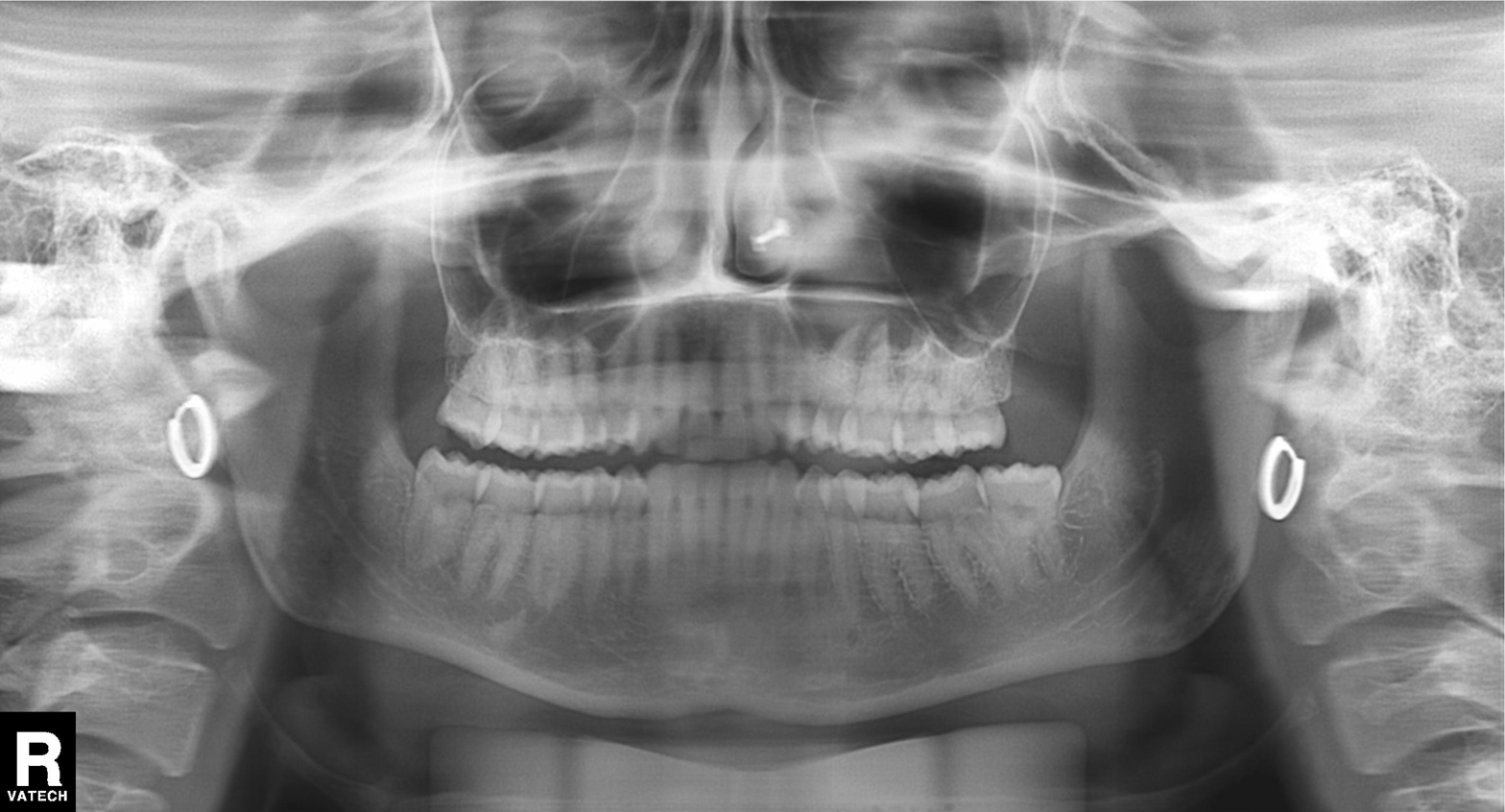
modality: panoramic dental radiograph (orthopantomogram)
finding: dental caries (cavities)